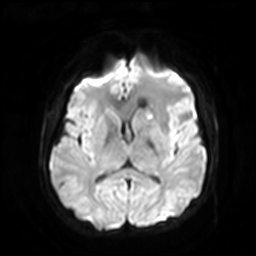
3 Tesla brain MRI.
Series: diffusion-weighted imaging with SENSE (WIP).
Study: ring-enhancing brain masses.